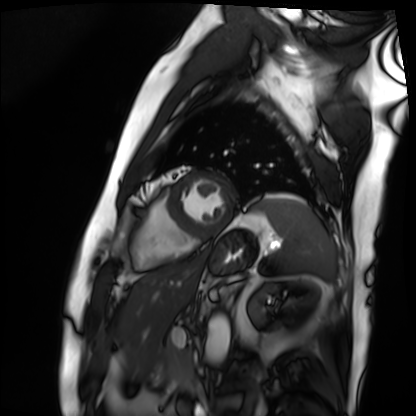
• modality — cardiac MRI
• subject group — patient